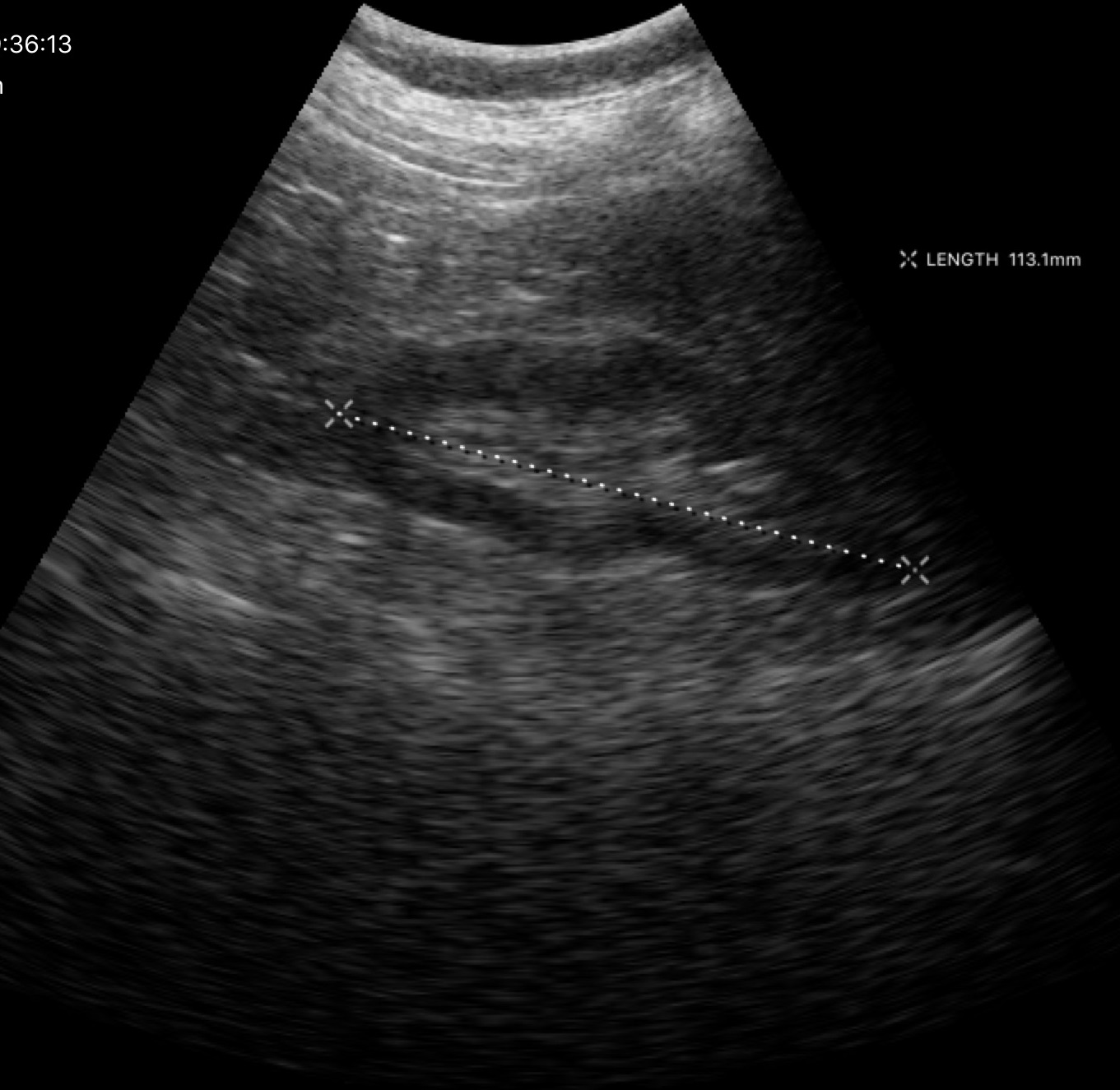
Q: What kind of scan is this?
A: Genitourinary ultrasound.